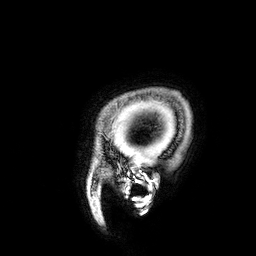
Summary: 3 Tesla brain MRI. Series: 3D T1-weighted. Study: ring-enhancing brain masses.